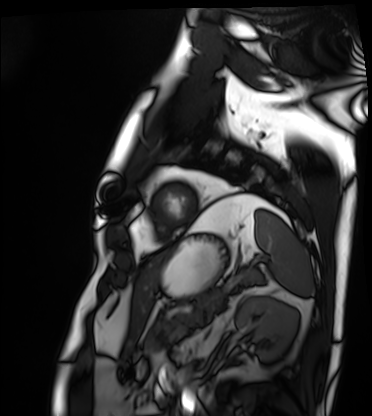
modality = cardiac MRI | subject group = patient.